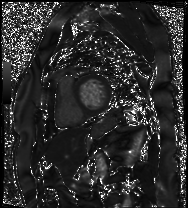
Case summary: Cardiac MRI. Subject group: patient.